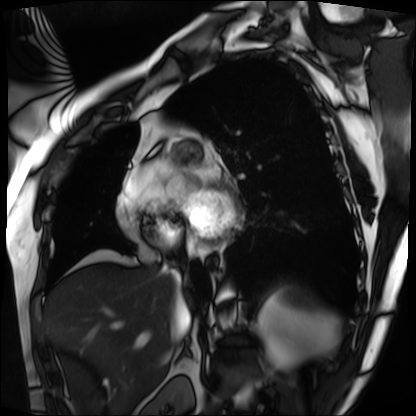
Cardiac MRI. Subject group: patient.